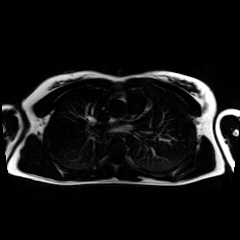
{
  "modality": "chemical-shift-encoded cardiac MRI"
}